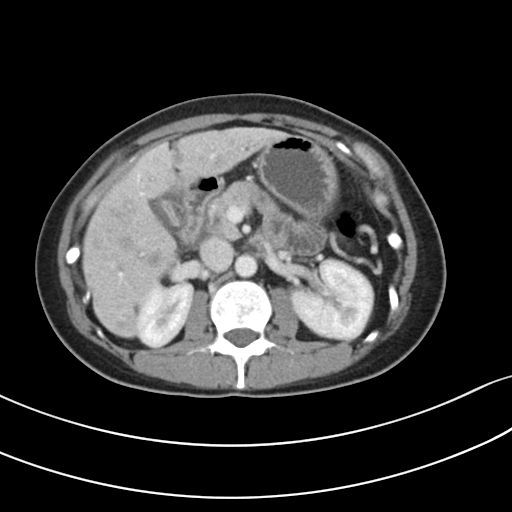
modality = multiphase abdominal CT, liver, portal venous phase.